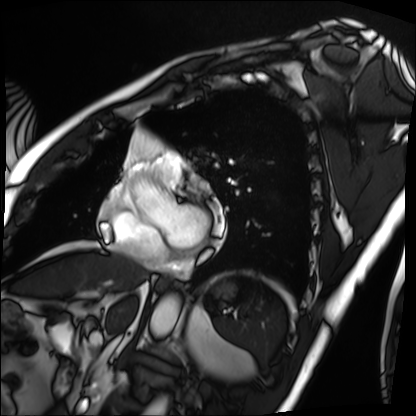
modality=cardiac MRI; subject group=patient.